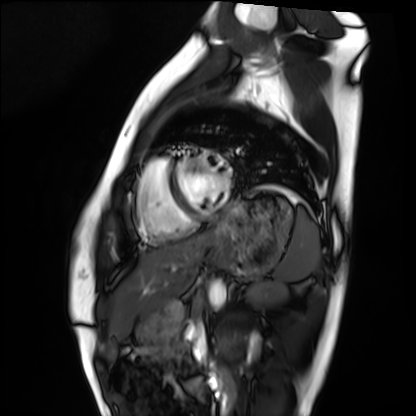
Summary: Cardiac MRI. Subject group: healthy volunteer.